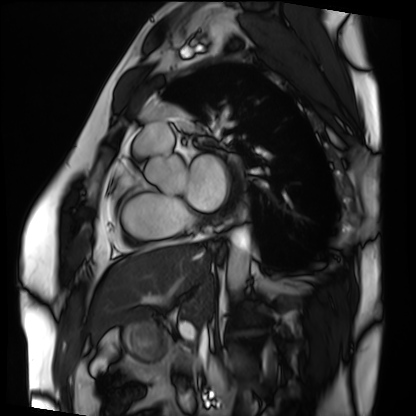
modality: cardiac MRI
subject group: patient